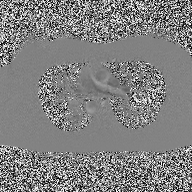
2D phase-contrast cine MRI of the ascending aorta, high-resolution GRAPPA acquisition.